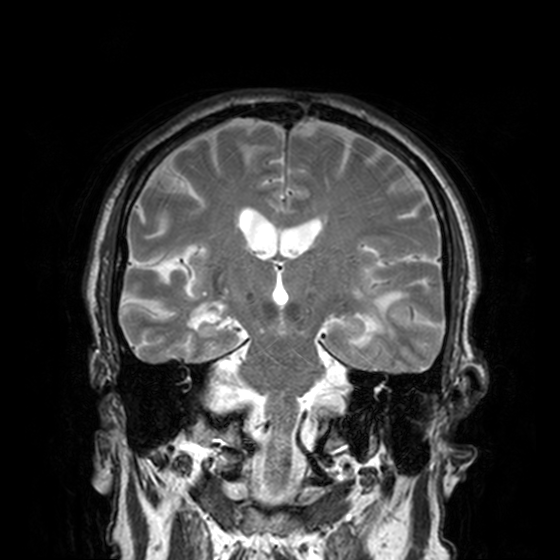
<record>
  <modality>
    <type>brain MRI</type>
    <field_strength>3T</field_strength>
  </modality>
  <series>T2-weighted turbo spin echo, 3 mm</series>
  <study_topic>ring-enhancing brain masses</study_topic>
</record>